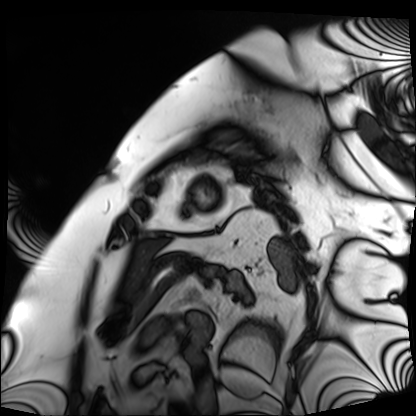
Cardiac MRI. Subject group: patient.